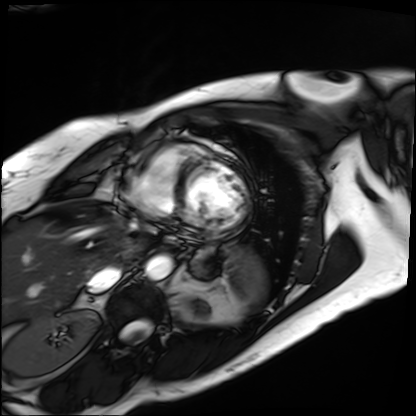
modality=cardiac MRI | subject group=patient.